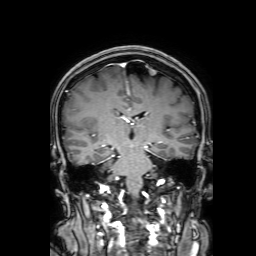
3 Tesla brain MRI.
Study: ring-enhancing brain masses.